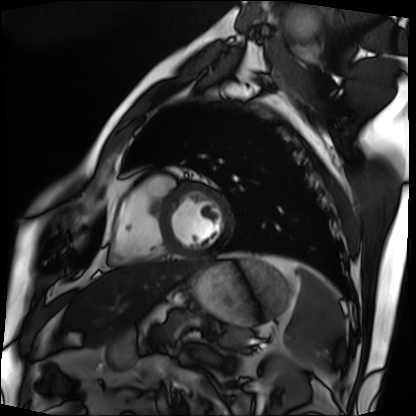
<scan>
  <modality>cardiac MRI</modality>
  <cohort>patient</cohort>
</scan>